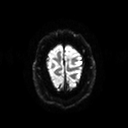
<record>
  <modality>
    <type>brain MRI</type>
    <field_strength>3T</field_strength>
  </modality>
  <series>diffusion tensor imaging (medium iso)</series>
  <study_topic>ring-enhancing brain masses</study_topic>
</record>